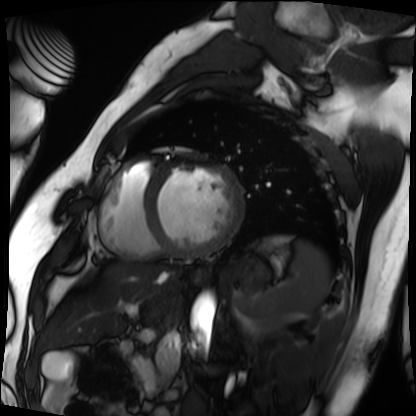
Q: What kind of scan is this?
A: Cardiac MRI.
Subject group: patient.